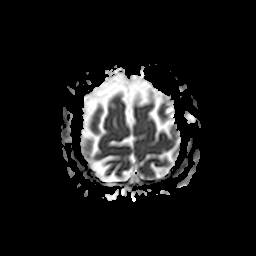
modality — 3 Tesla brain MRI; series — apparent diffusion coefficient (ADC) map; study — ring-enhancing brain masses.